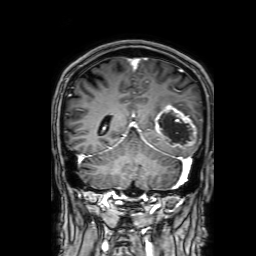
modality=3 Tesla brain MRI | series=3D T1-weighted with SENSE | study=ring-enhancing brain masses.